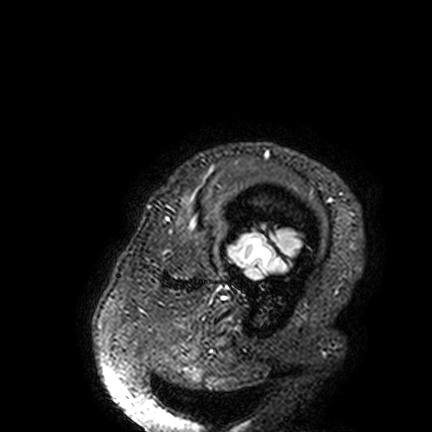
| field | value |
|---|---|
| modality | 3 Tesla brain MRI |
| series | FLAIR VISTA |
| study | ring-enhancing brain masses |